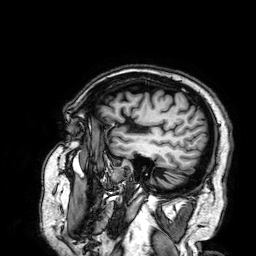
3 Tesla brain MRI. Series: 3D T1-weighted. Study: ring-enhancing brain masses.